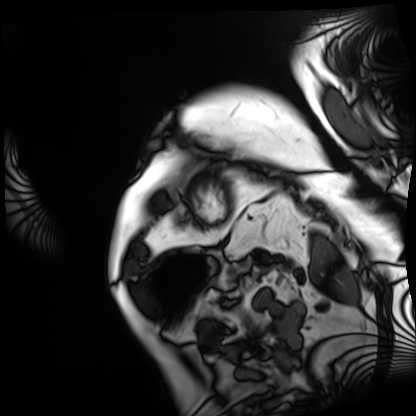
Cardiac MRI.
Subject group: patient.